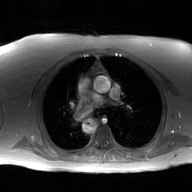
<record>
<modality>
  <type>2D phase-contrast cine MRI</type>
  <region>ascending aorta</region>
  <reconstruction>GAN super-resolution reconstruction</reconstruction>
</modality>
</record>